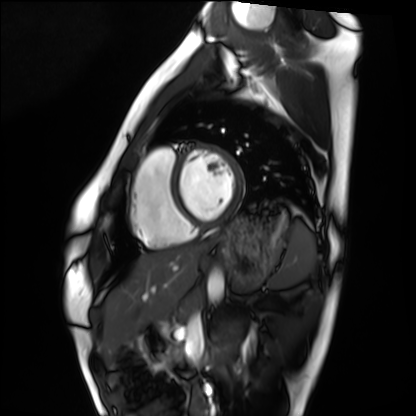
Case:
– modality: cardiac MRI
– subject group: healthy volunteer